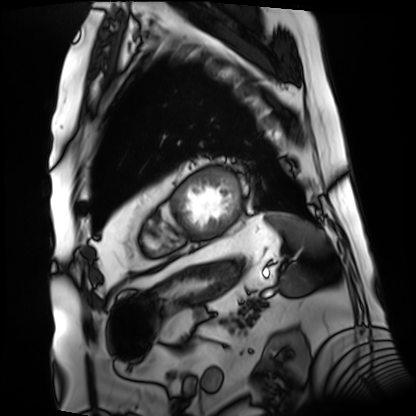
Case:
- modality · cardiac MRI
- subject group · patient